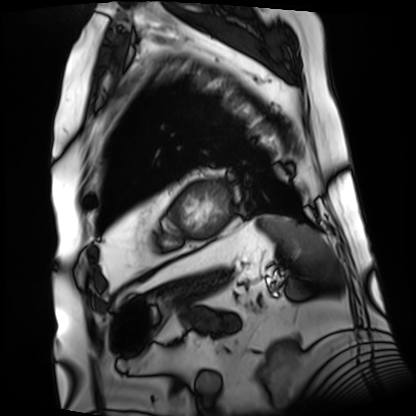
modality: cardiac MRI
subject group: patient